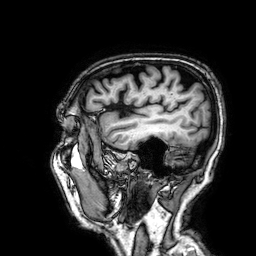
Summary:
3 Tesla brain MRI. Series: 3D T1-weighted. Study: ring-enhancing brain masses.